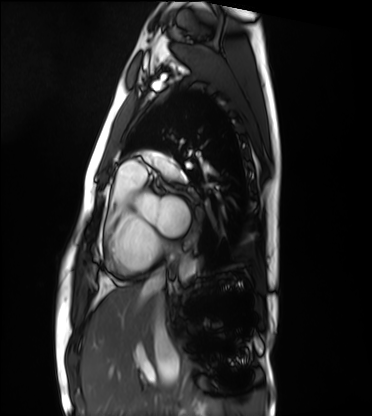
Cardiac MRI. Subject group: healthy volunteer.